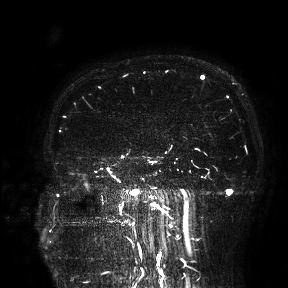
Clinical context:
3 Tesla brain MRI. Study: ring-enhancing brain masses.